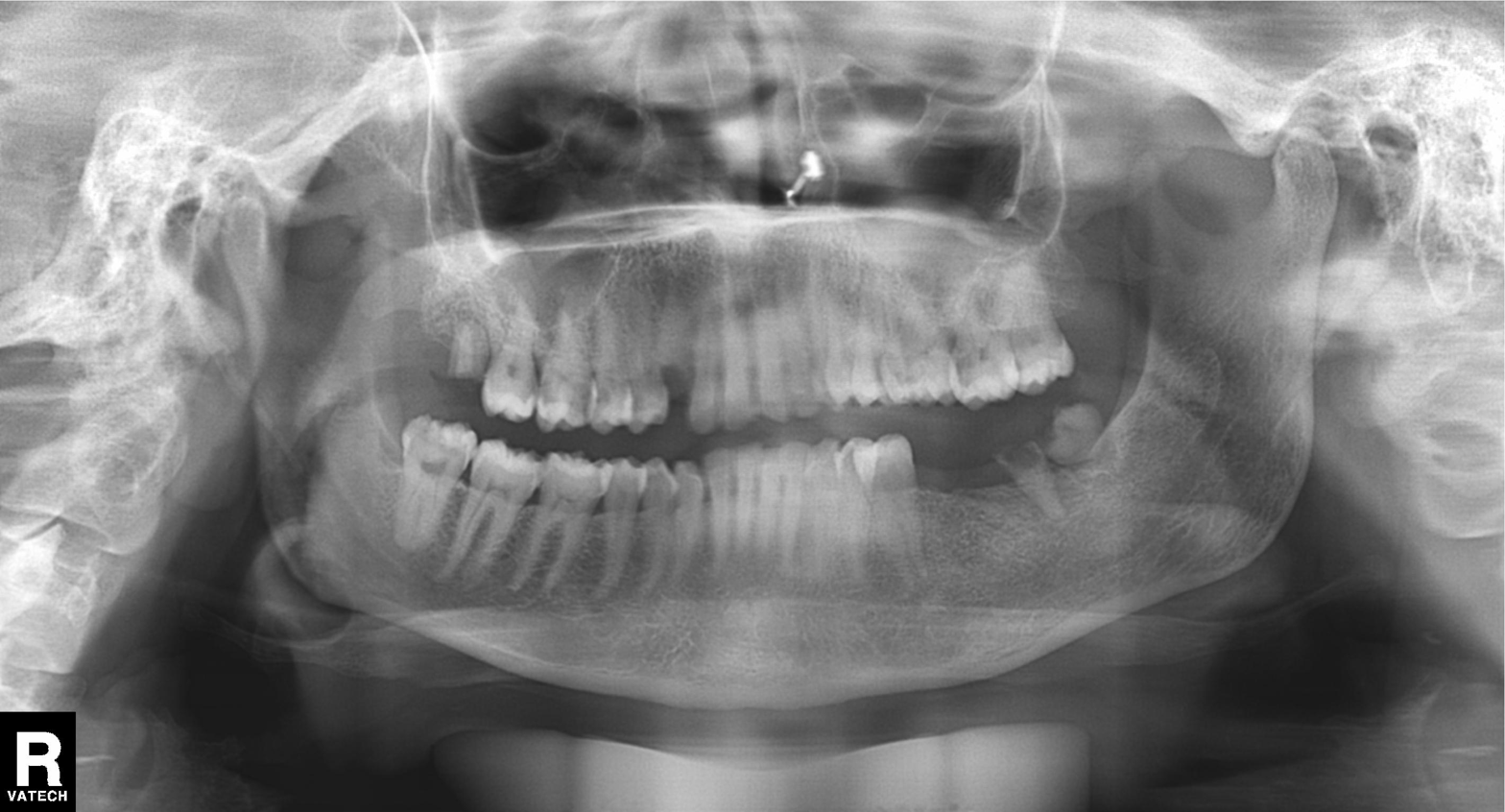
Q: What kind of scan is this?
A: Panoramic dental radiograph (orthopantomogram).
Q: What is the radiographic finding?
A: Tooth impaction.